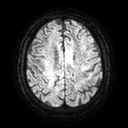
3 Tesla brain MRI. Series: diffusion tensor imaging (medium iso). Study: ring-enhancing brain masses.